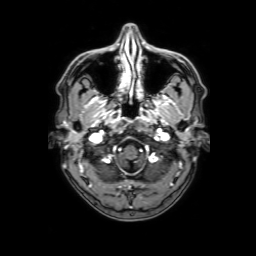
| field | value |
|---|---|
| modality | 3 Tesla brain MRI |
| series | 3D T1-weighted with SENSE |
| study | ring-enhancing brain masses |